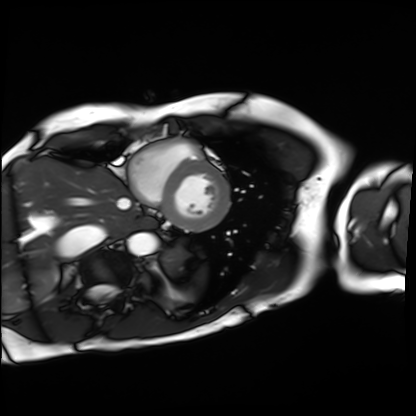
<study>
  <modality>cardiac MRI</modality>
  <cohort>patient</cohort>
</study>